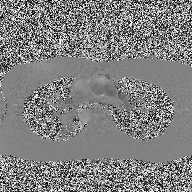
Summary: 2D phase-contrast cine MRI of the ascending aorta, high-resolution GRAPPA acquisition.